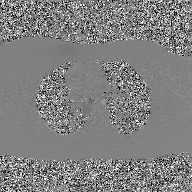
Case:
* modality: 2D phase-contrast cine MRI of the ascending aorta, GAN super-resolution reconstruction